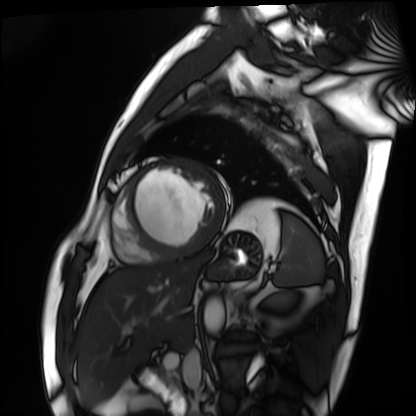
Cardiac MRI. Subject group: patient.